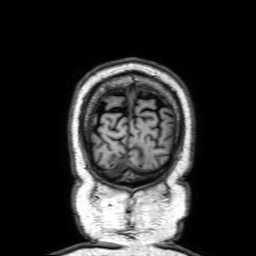
* modality — 3 Tesla brain MRI
* series — 3D T1-weighted with SENSE
* study — ring-enhancing brain masses